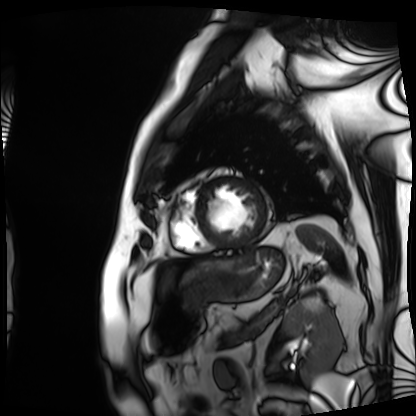
• modality — cardiac MRI
• subject group — patient